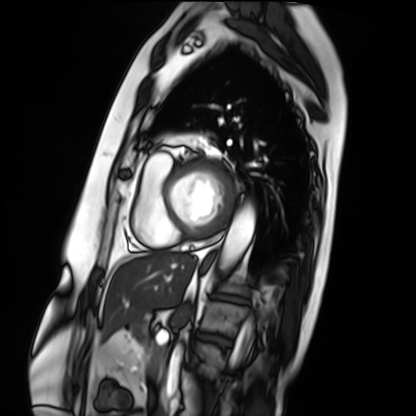
Cardiac MRI.
Subject group: patient.